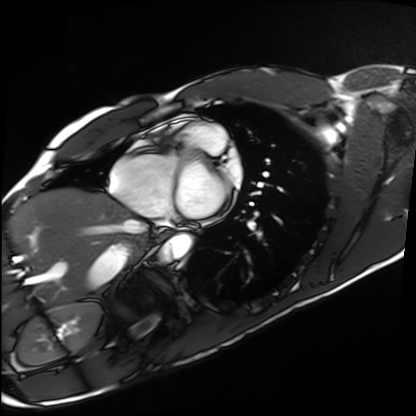
Cardiac MRI. Subject group: healthy volunteer.